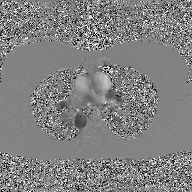
Case:
– modality: 2D phase-contrast cine MRI of the ascending aorta, GAN super-resolution reconstruction